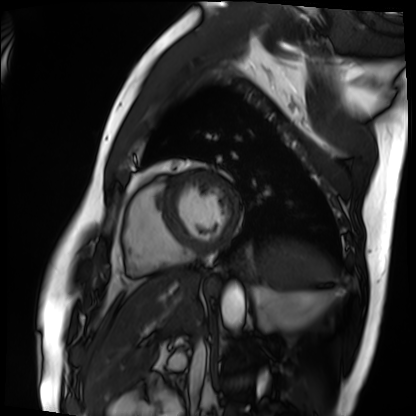
Summary:
Cardiac MRI. Subject group: patient.